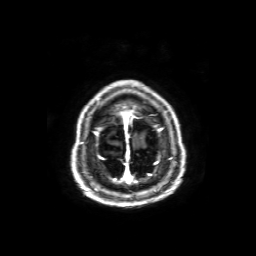
3 Tesla brain MRI.
Series: axial T1-weighted fusion image.
Study: ring-enhancing brain masses.